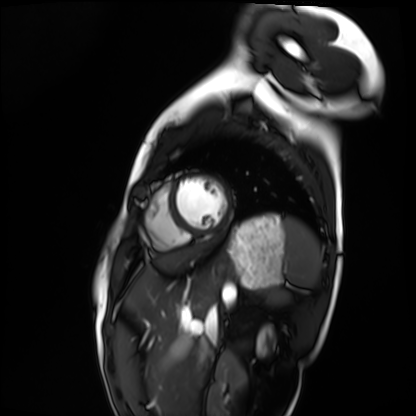
modality: cardiac MRI, subject group: healthy volunteer.